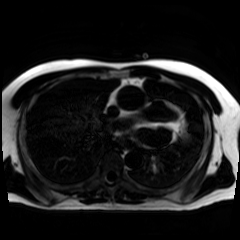
Chemical-shift-encoded cardiac MRI.